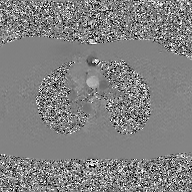
modality: 2D phase-contrast cine MRI of the ascending aorta, GAN super-resolution reconstruction.